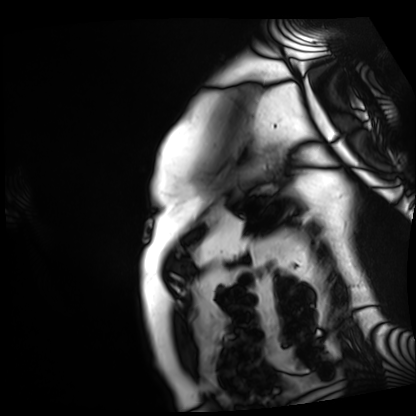
Summary: Cardiac MRI. Subject group: patient.